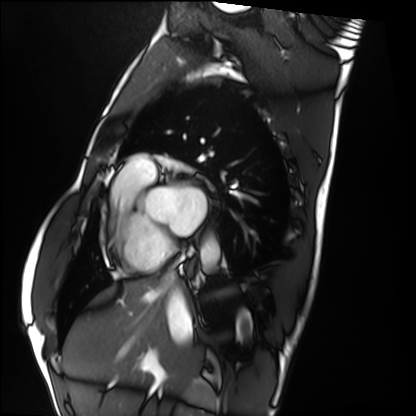
<case>
  <modality>cardiac MRI</modality>
  <cohort>healthy volunteer</cohort>
</case>